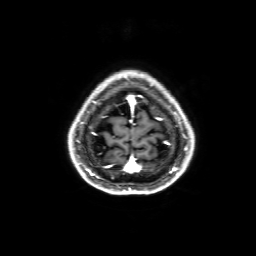
<study>
  <modality>
    <type>brain MRI</type>
    <field_strength>3T</field_strength>
  </modality>
  <series>3D T1-weighted with SENSE</series>
  <study_topic>ring-enhancing brain masses</study_topic>
</study>